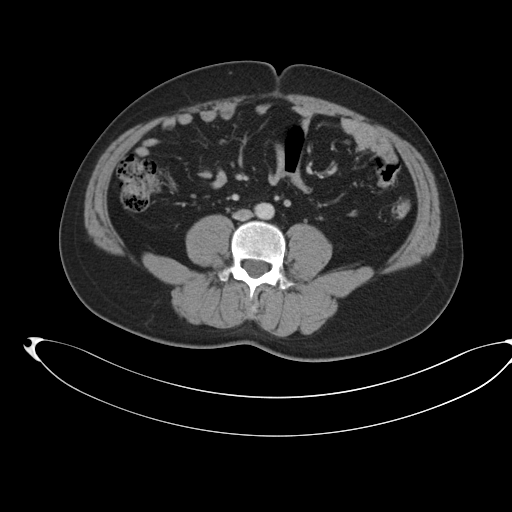
• modality: multiphase abdominal CT, liver, portal venous phase
• patient: male, age 35
• history: prior chemotherapy